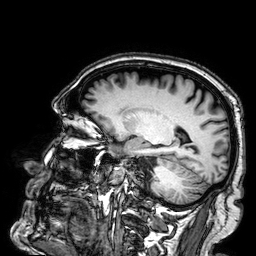
3 Tesla brain MRI. Series: 3D T1-weighted. Study: ring-enhancing brain masses.